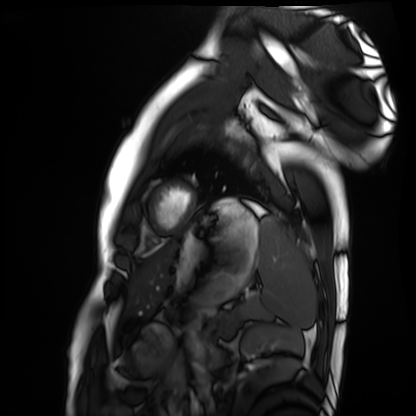
Case summary: Cardiac MRI. Subject group: healthy volunteer.